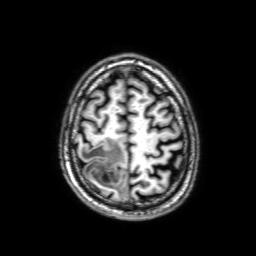
{"modality": {"type": "brain MRI", "field_strength": "3T"}, "series": "3D T1-weighted with SENSE", "study_topic": "ring-enhancing brain masses"}